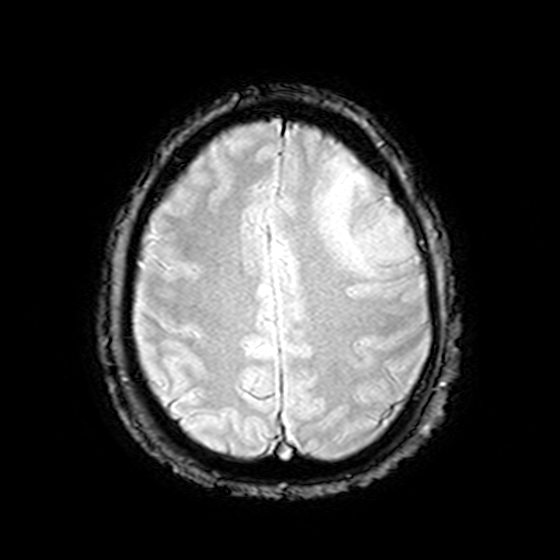
modality: 3 Tesla brain MRI; series: T2-weighted fast field echo; study: ring-enhancing brain masses.